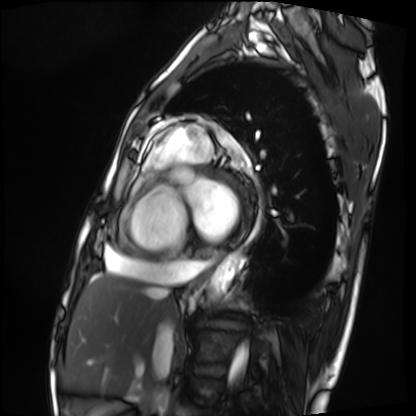
Q: What kind of scan is this?
A: Cardiac MRI.
Subject group: patient.